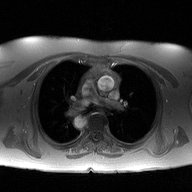
2D phase-contrast cine MRI of the ascending aorta, high-resolution GRAPPA acquisition.